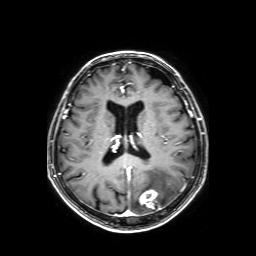
3 Tesla brain MRI.
Series: axial T1-weighted fusion image.
Study: ring-enhancing brain masses.